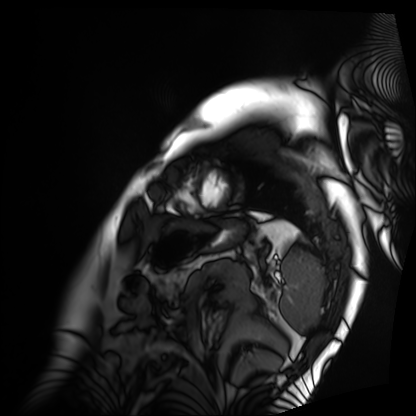
Clinical context: Cardiac MRI. Subject group: patient.